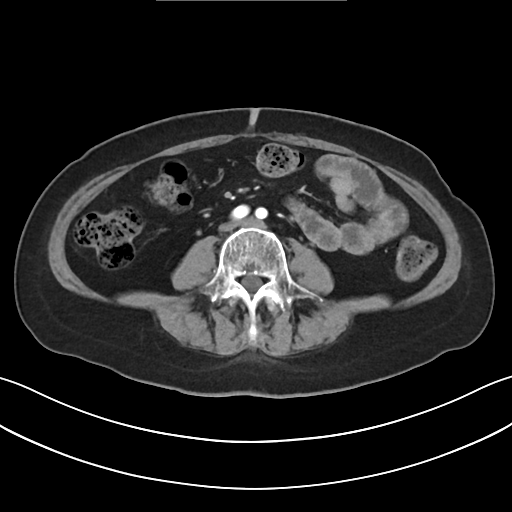
Summary: Multiphase abdominal CT, liver, arterial phase. Patient: female, age 61.